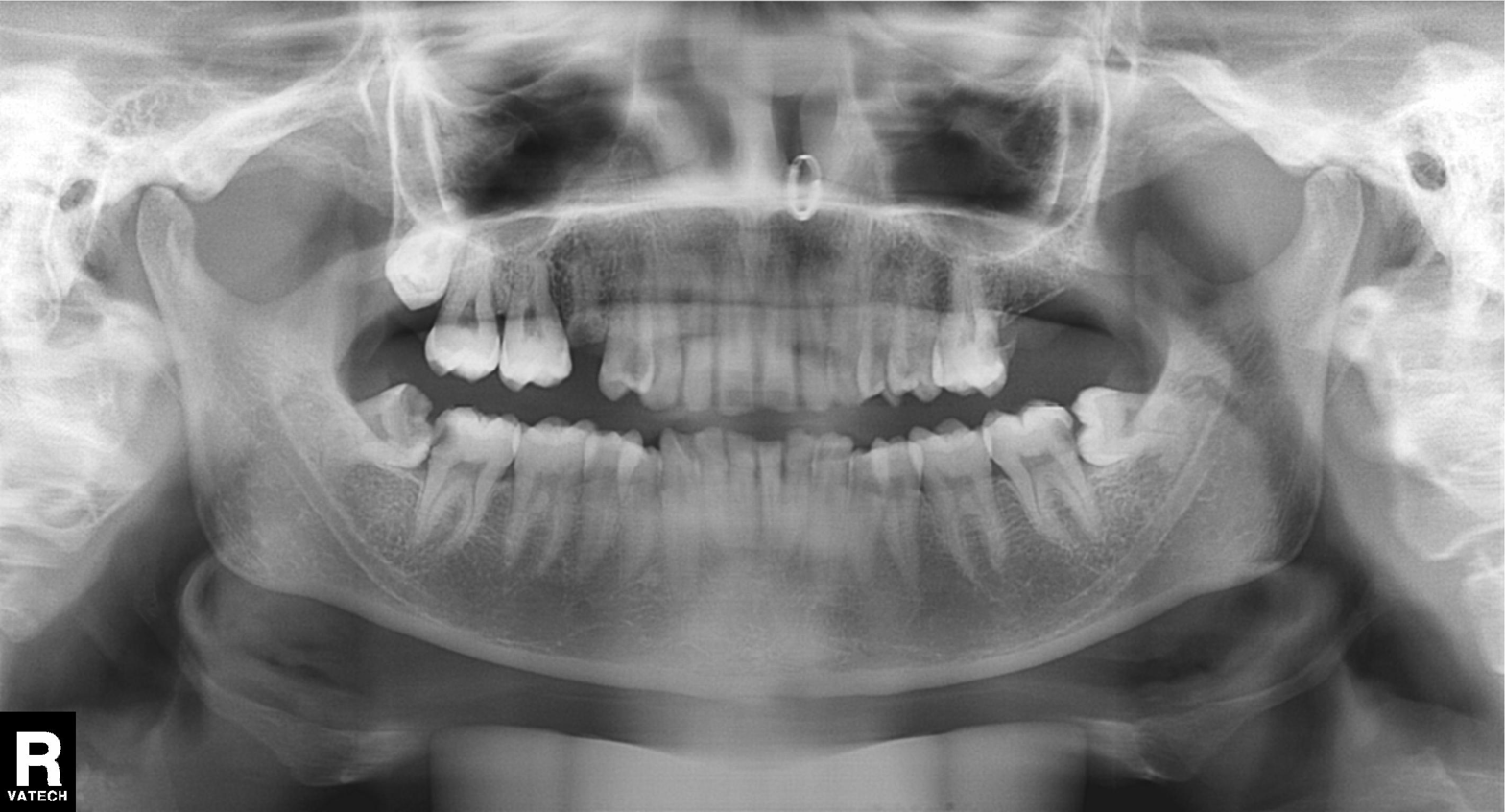
| feature | finding |
|---|---|
| modality | panoramic dental radiograph (orthopantomogram) |
| finding | alveolar bone loss |